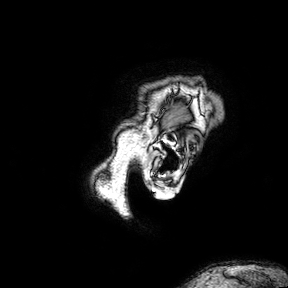
modality: 3 Tesla brain MRI | series: 3D T1-weighted turbo field echo with SENSE | study: ring-enhancing brain masses.